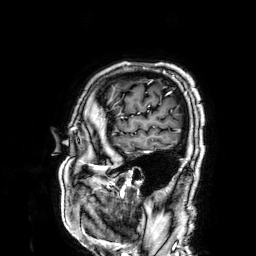
<scan>
<modality>
  <type>brain MRI</type>
  <field_strength>3T</field_strength>
</modality>
<series>3D T1-weighted</series>
<study_topic>ring-enhancing brain masses</study_topic>
</scan>